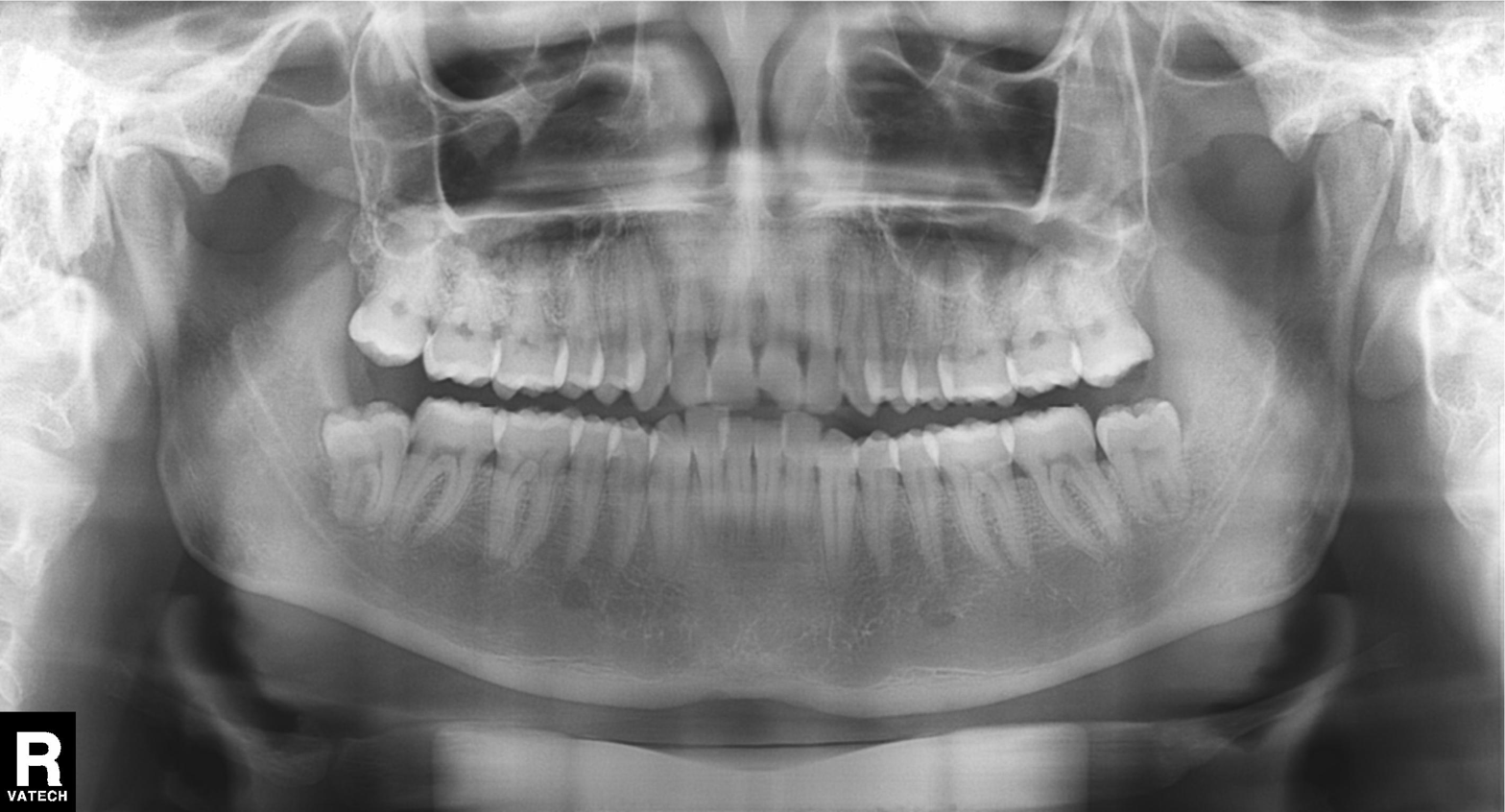
Panoramic dental radiograph (orthopantomogram).
Finding: dental caries (cavities).